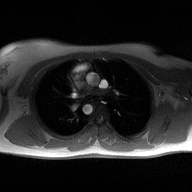
modality:
  type: 2D phase-contrast cine MRI
  region: ascending aorta
  reconstruction: high-resolution GRAPPA acquisition